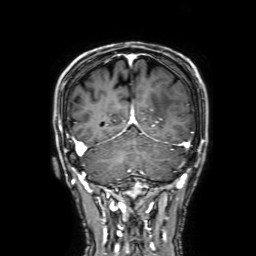
3 Tesla brain MRI. Series: 3D T1-weighted with SENSE. Study: ring-enhancing brain masses.